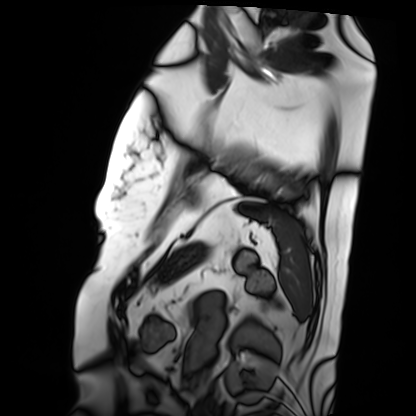
{"modality": "cardiac MRI", "cohort": "patient"}